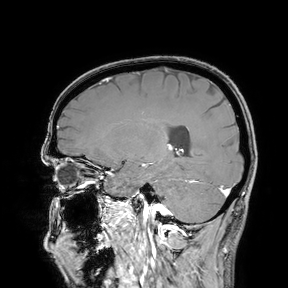
modality — 3 Tesla brain MRI; study — ring-enhancing brain masses.